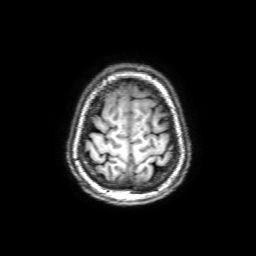
{"modality": {"type": "brain MRI", "field_strength": "3T"}, "series": "3D T1-weighted with SENSE", "study_topic": "ring-enhancing brain masses"}